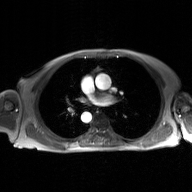
Q: What kind of scan is this?
A: 2D phase-contrast cine MRI of the ascending aorta, GAN super-resolution reconstruction.